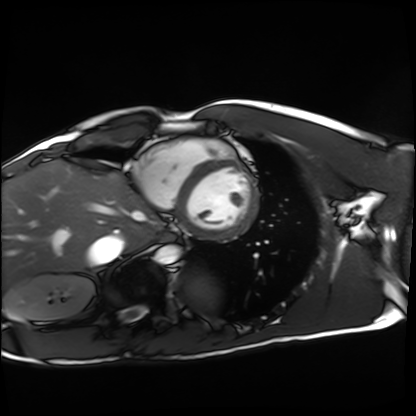
| field | value |
|---|---|
| modality | cardiac MRI |
| subject group | healthy volunteer |